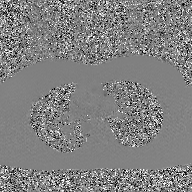
modality: 2D phase-contrast cine MRI of the ascending aorta, GAN super-resolution reconstruction.